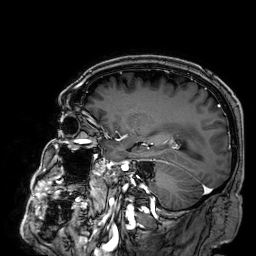
{
  "modality": {
    "type": "brain MRI",
    "field_strength": "3T"
  },
  "series": "3D T1-weighted",
  "study_topic": "ring-enhancing brain masses"
}